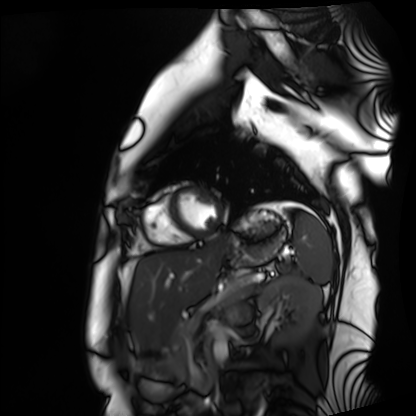
Cardiac MRI. Subject group: healthy volunteer.